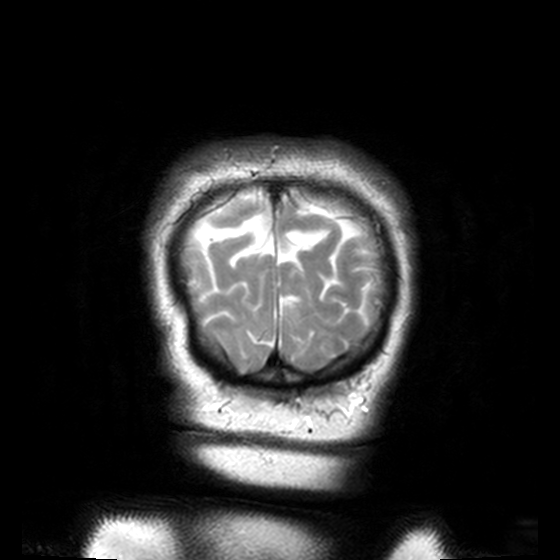
3 Tesla brain MRI. Series: T2-weighted turbo spin echo, 3 mm. Study: ring-enhancing brain masses.